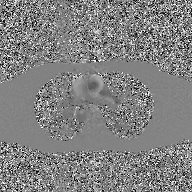
modality: 2D phase-contrast cine MRI of the ascending aorta, GAN super-resolution reconstruction.